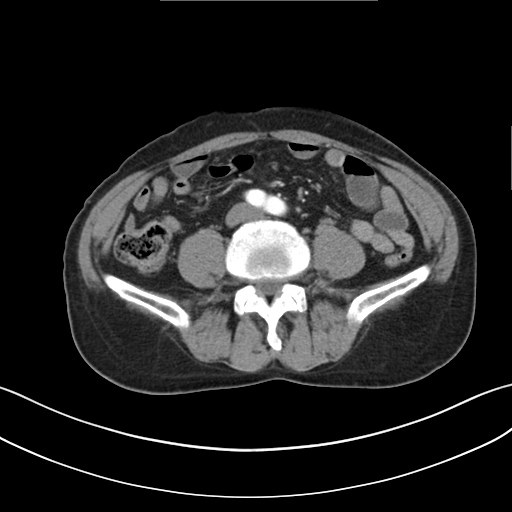
{"modality": {"type": "multiphase abdominal CT", "region": "liver", "phase": "arterial"}, "patient": {"sex": "male", "age": 65}}